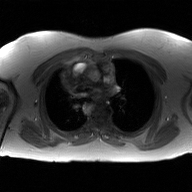
modality = 2D phase-contrast cine MRI of the ascending aorta, GAN super-resolution reconstruction.